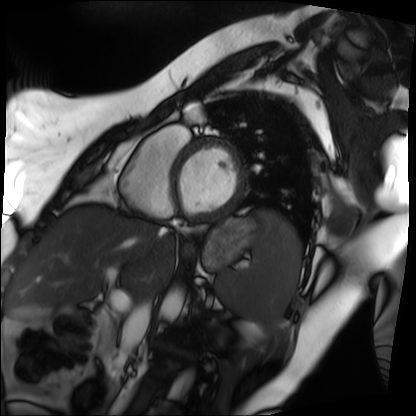
Summary: Cardiac MRI. Subject group: patient.